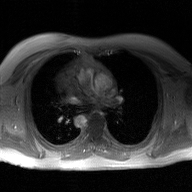
2D phase-contrast cine MRI of the ascending aorta, GAN super-resolution reconstruction.